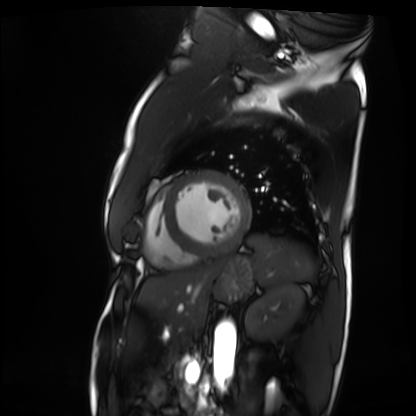
  modality: cardiac MRI
  cohort: patient